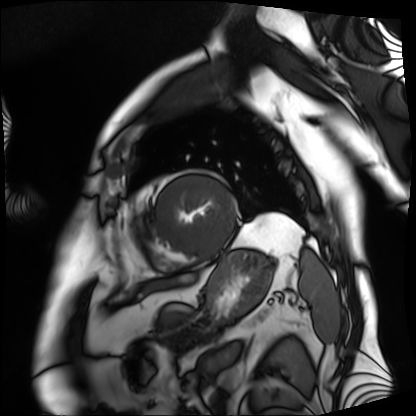
- modality — cardiac MRI
- subject group — patient